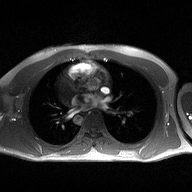
Summary: 2D phase-contrast cine MRI of the ascending aorta, high-resolution GRAPPA acquisition.